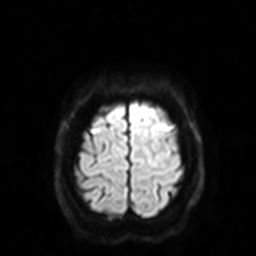
Q: What kind of scan is this?
A: 3 Tesla brain MRI.
Q: Series?
A: Diffusion-weighted imaging with SENSE (WIP).
Study: ring-enhancing brain masses.